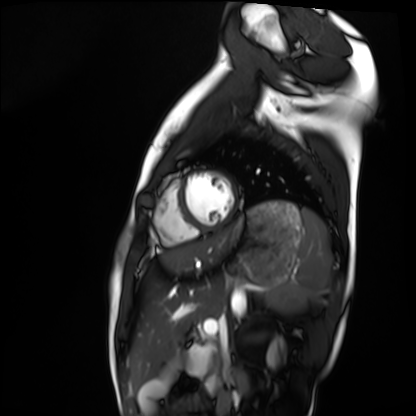
Cardiac MRI. Subject group: healthy volunteer.